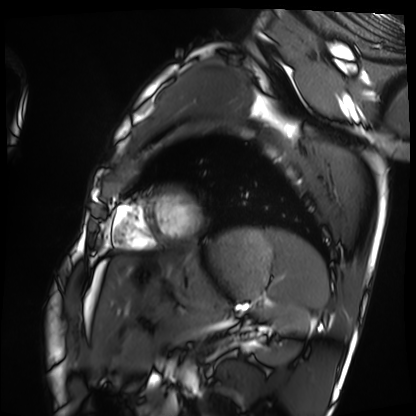
Summary:
Cardiac MRI. Subject group: healthy volunteer.